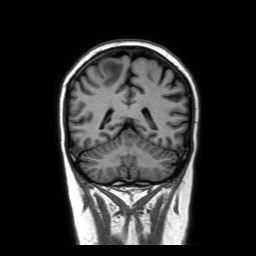
Clinical context: 3 Tesla brain MRI. Series: coronal without contrast. Study: ring-enhancing brain masses.